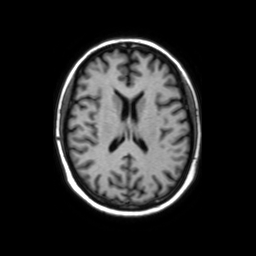
Summary:
3 Tesla brain MRI. Series: axial without contrast. Study: ring-enhancing brain masses.